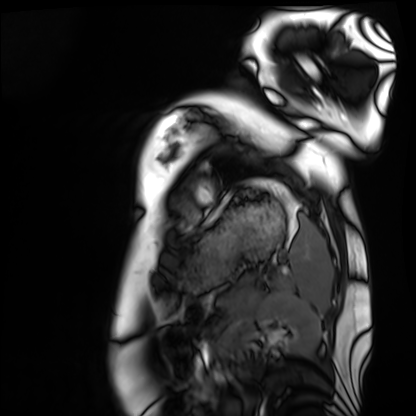
Case summary:
Cardiac MRI. Subject group: healthy volunteer.